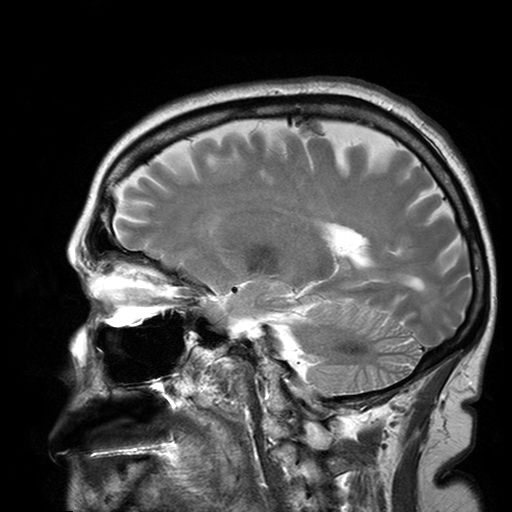
Clinical context: 3 Tesla brain MRI. Series: T2-weighted turbo spin echo with SENSE. Study: ring-enhancing brain masses.